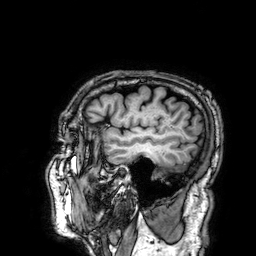
3 Tesla brain MRI. Series: 3D T1-weighted. Study: ring-enhancing brain masses.